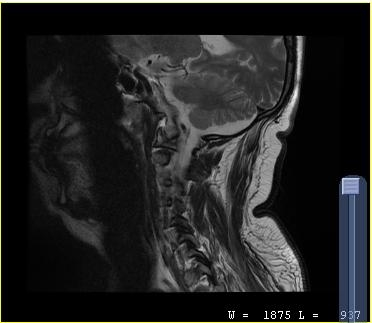
modality: MRI of the cervical spine | study: cervical spondylosis.